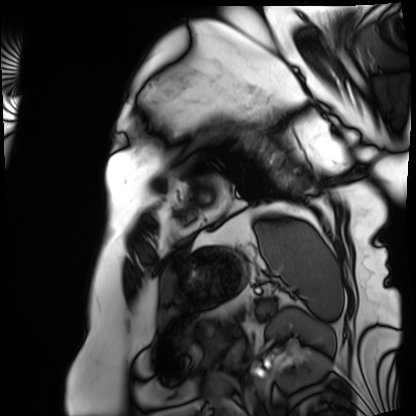
| field | value |
|---|---|
| modality | cardiac MRI |
| subject group | patient |